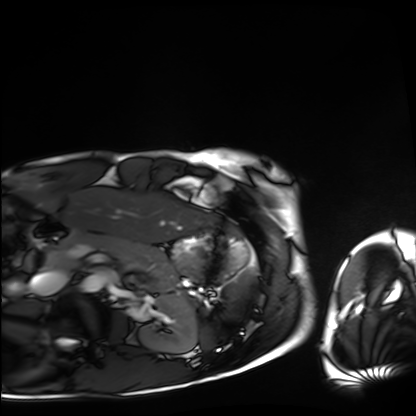
Case:
* modality · cardiac MRI
* subject group · healthy volunteer